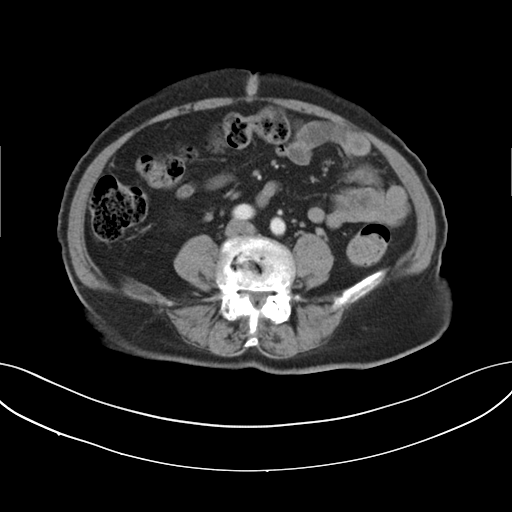
Multiphase abdominal CT, liver, arterial phase. Patient: female, age 73. History: viral hepatitis.